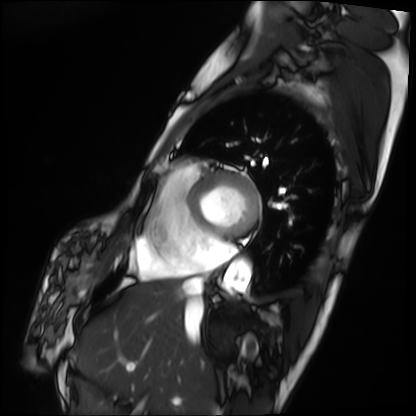
{
  "modality": "cardiac MRI",
  "cohort": "patient"
}